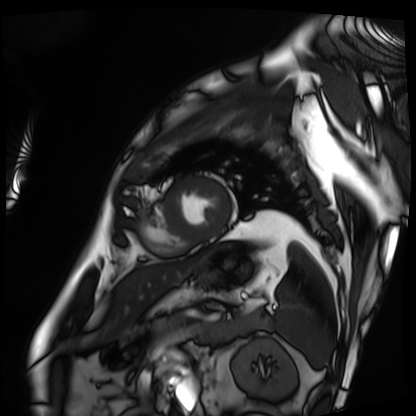
* modality: cardiac MRI
* subject group: patient